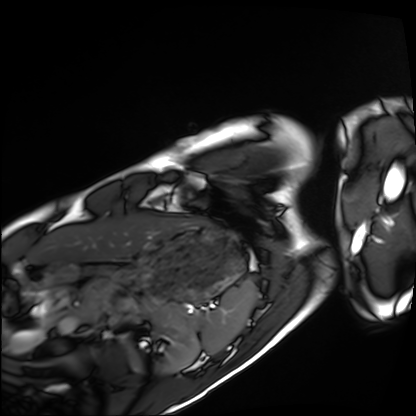
{"modality": "cardiac MRI", "cohort": "healthy volunteer"}